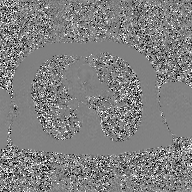
Summary:
2D phase-contrast cine MRI of the ascending aorta, GAN super-resolution reconstruction.